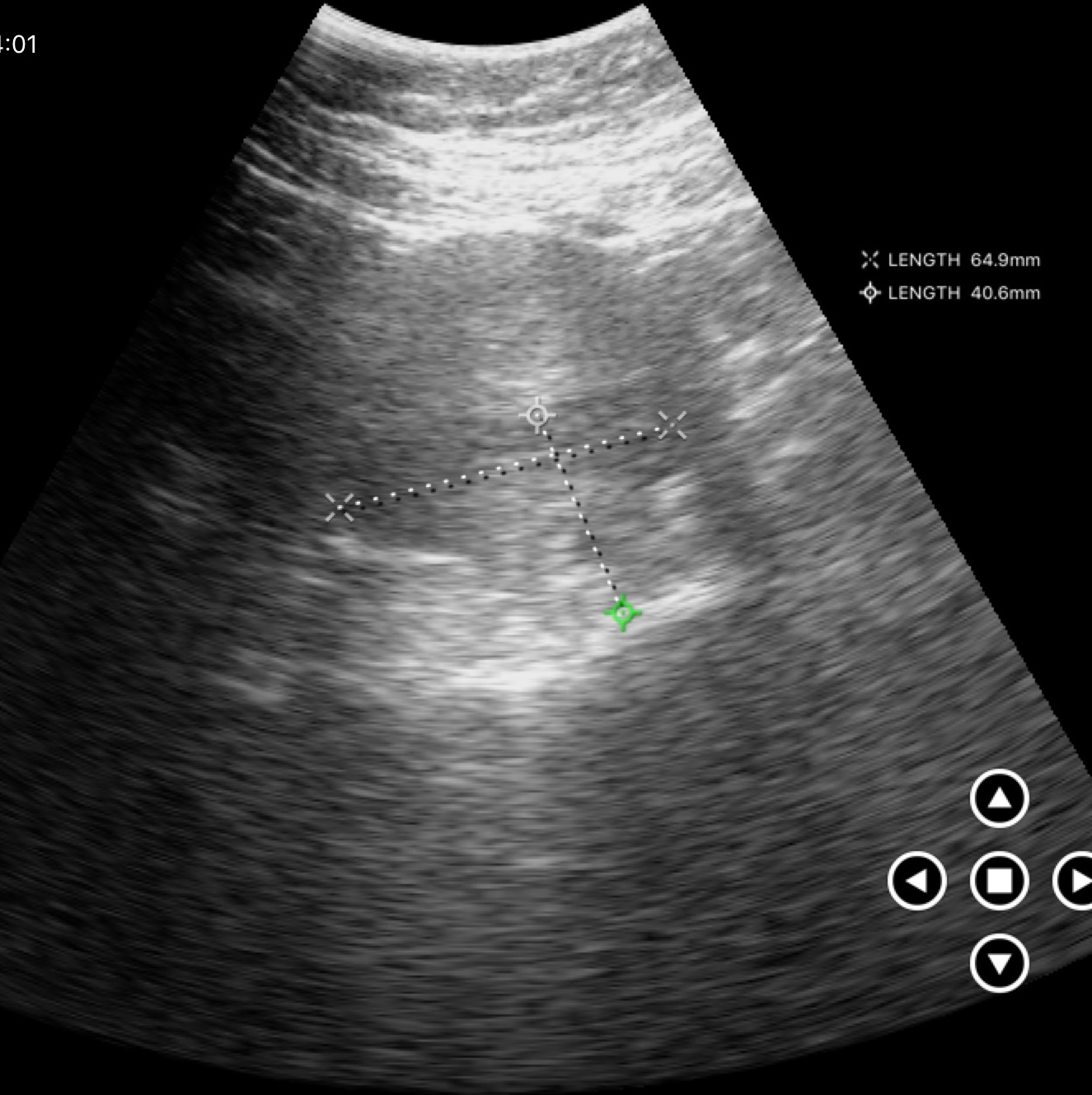
Q: What kind of scan is this?
A: Genitourinary ultrasound.